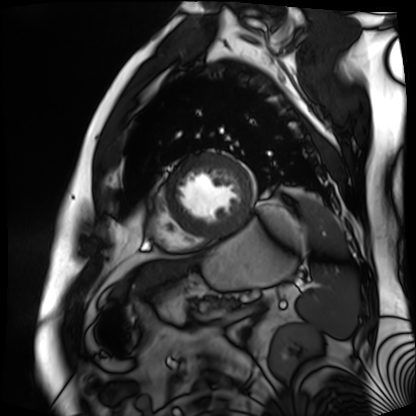
Cardiac MR image of the myocardium. Subject cohort: cardiac patient.